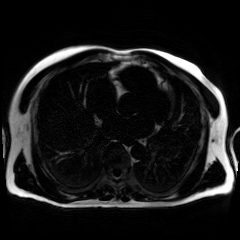
Case:
• modality — chemical-shift-encoded cardiac MRI